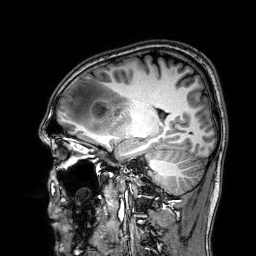
Summary: 3 Tesla brain MRI. Series: 3D T1-weighted. Study: ring-enhancing brain masses.